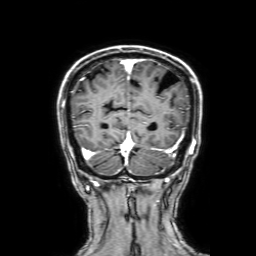
{
  "modality": {
    "type": "brain MRI",
    "field_strength": "3T"
  },
  "series": "3D T1-weighted with SENSE",
  "study_topic": "ring-enhancing brain masses"
}